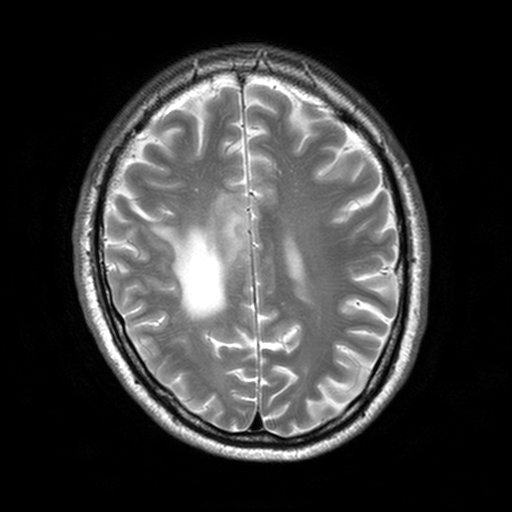
* modality: 3 Tesla brain MRI
* series: T2-weighted turbo spin echo, 3 mm
* study: ring-enhancing brain masses